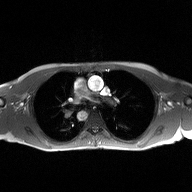
Q: What kind of scan is this?
A: 2D phase-contrast cine MRI of the ascending aorta.